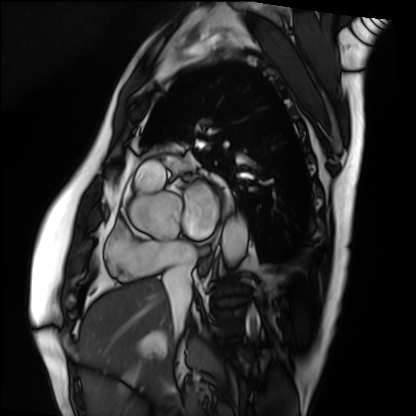
Cardiac MRI. Subject group: patient.